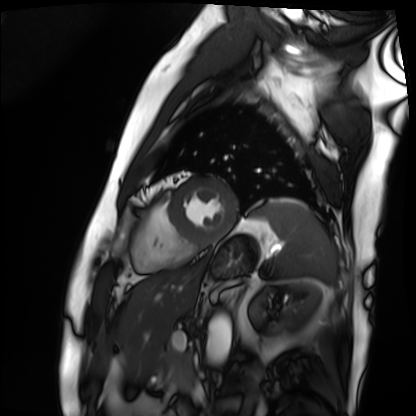
{"modality": "cardiac MRI", "cohort": "patient"}